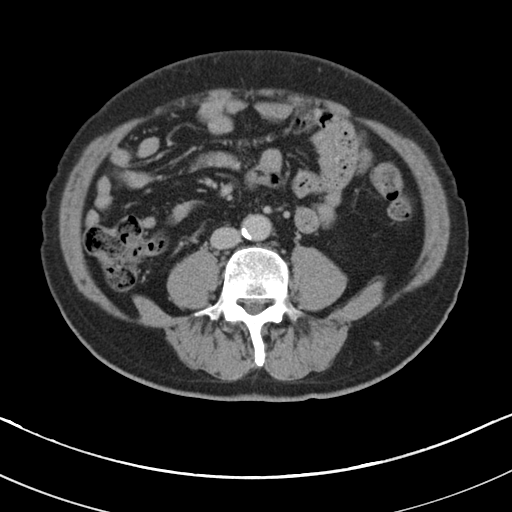
{
  "modality": {
    "type": "multiphase abdominal CT",
    "region": "liver",
    "phase": "portal venous"
  },
  "patient": {
    "sex": "male",
    "age": 67
  },
  "history": [
    "viral hepatitis",
    "prior chemotherapy"
  ]
}